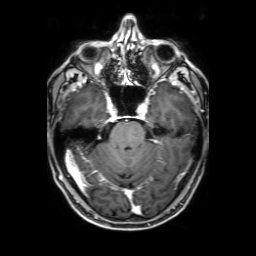
Case summary: 3 Tesla brain MRI. Series: 3D T1-weighted with SENSE. Study: ring-enhancing brain masses.